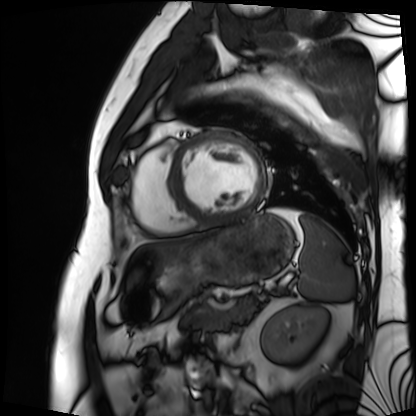
modality = cardiac MRI | subject group = patient.